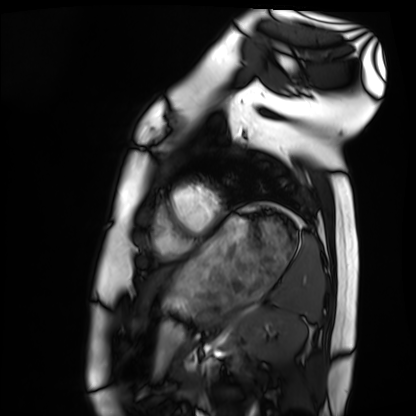
– modality — cardiac MRI
– subject group — healthy volunteer